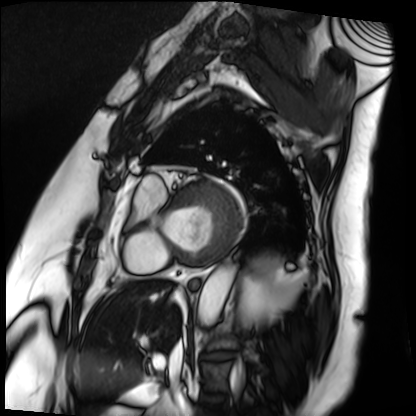
{"modality": "cardiac MRI", "cohort": "patient"}